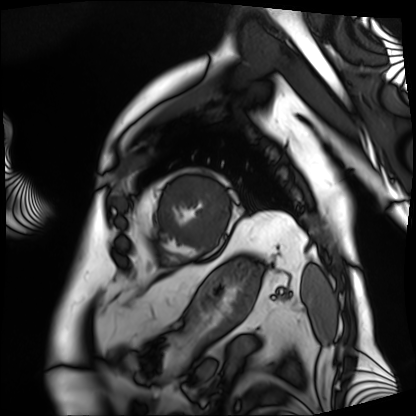
Summary: Cardiac MRI. Subject group: patient.